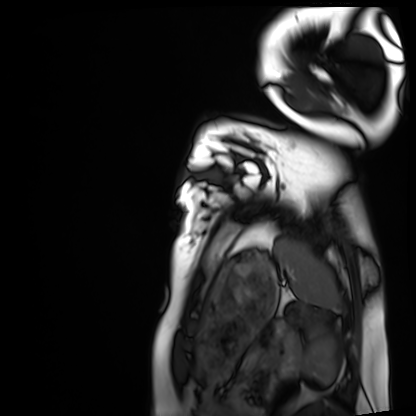
  modality: cardiac MRI
  cohort: healthy volunteer